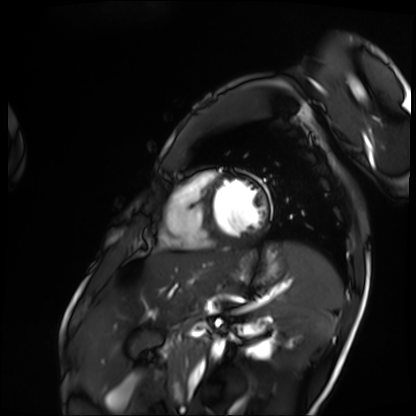
Cardiac MRI.
Subject group: patient.